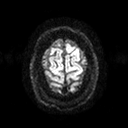
<study>
  <modality>
    <type>brain MRI</type>
    <field_strength>3T</field_strength>
  </modality>
  <series>diffusion tensor imaging (medium iso)</series>
  <study_topic>ring-enhancing brain masses</study_topic>
</study>